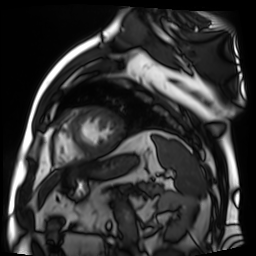
modality=cardiac MR image of the myocardium
subject cohort=cardiac patient